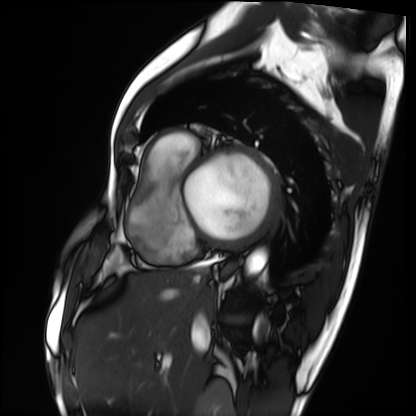
Cardiac MRI.
Subject group: patient.